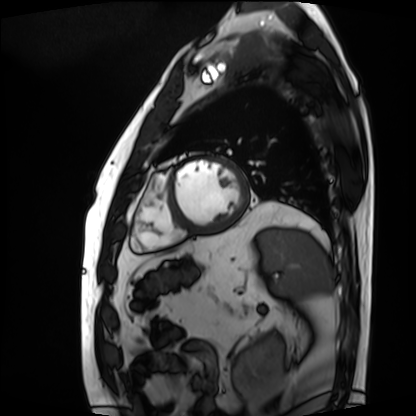
| field | value |
|---|---|
| modality | cardiac MRI |
| subject group | patient |